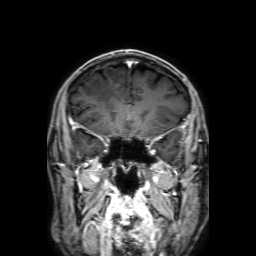
Q: What kind of scan is this?
A: 3 Tesla brain MRI.
Q: Series?
A: 3D T1-weighted with SENSE.
Study: ring-enhancing brain masses.